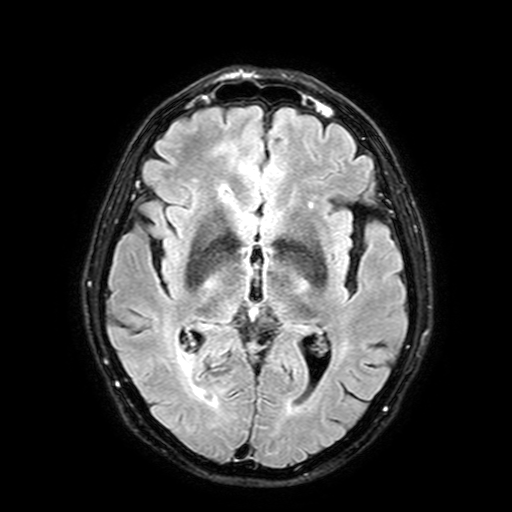
modality: 3 Tesla brain MRI
series: FLAIR with SPAIR, 3 mm
study: ring-enhancing brain masses